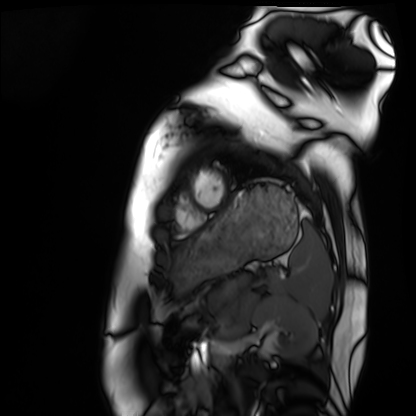
Cardiac MRI. Subject group: healthy volunteer.